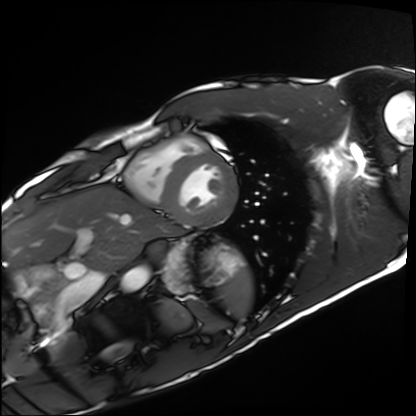
<study>
<modality>cardiac MRI</modality>
<cohort>healthy volunteer</cohort>
</study>